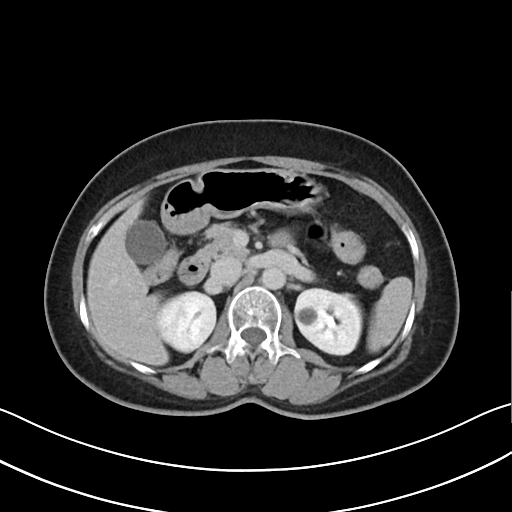
  modality:
    type: multiphase abdominal CT
    region: liver
    phase: delayed
  patient:
    sex: female
    age: 55
  history:
    - prior chemotherapy